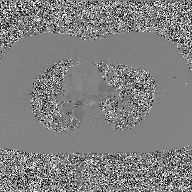
2D phase-contrast cine MRI of the ascending aorta, GAN super-resolution reconstruction.